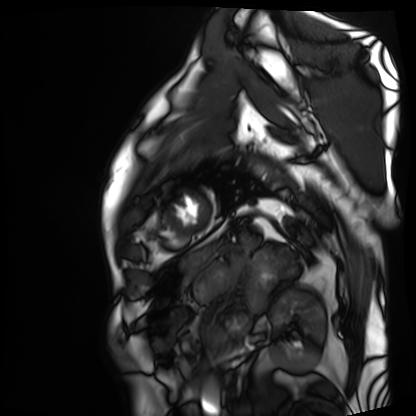
modality — cardiac MRI; subject group — patient.